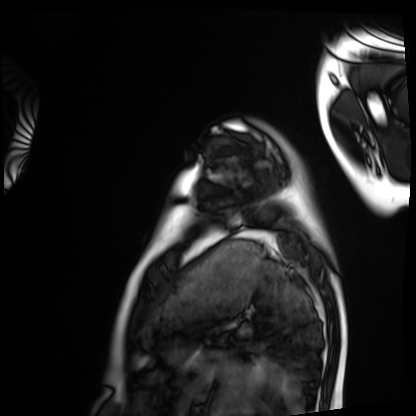
{
  "modality": "cardiac MRI",
  "cohort": "healthy volunteer"
}